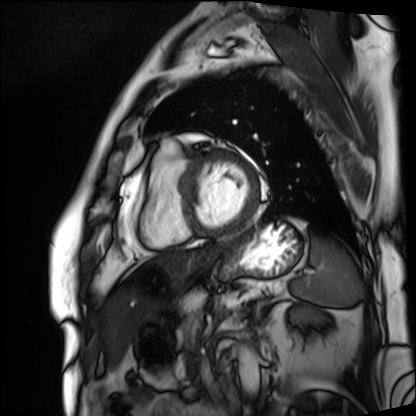
| field | value |
|---|---|
| modality | cardiac MRI |
| subject group | patient |